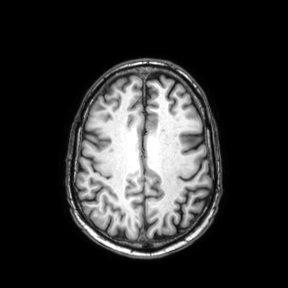
3 Tesla brain MRI. Series: axial. Study: ring-enhancing brain masses.